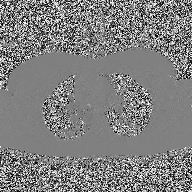
{
  "modality": {
    "type": "2D phase-contrast cine MRI",
    "region": "ascending aorta",
    "reconstruction": "high-resolution GRAPPA acquisition"
  }
}